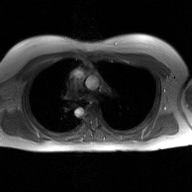
modality = 2D phase-contrast cine MRI of the ascending aorta, GAN super-resolution reconstruction.